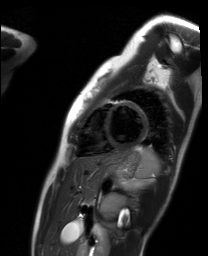
Cardiac MR image of the myocardium.
Subject cohort: healthy volunteer.